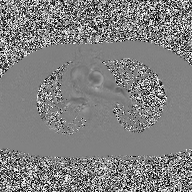
Q: What kind of scan is this?
A: 2D phase-contrast cine MRI of the ascending aorta.